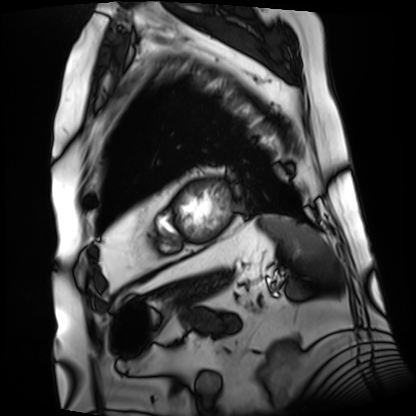
Cardiac MRI. Subject group: patient.